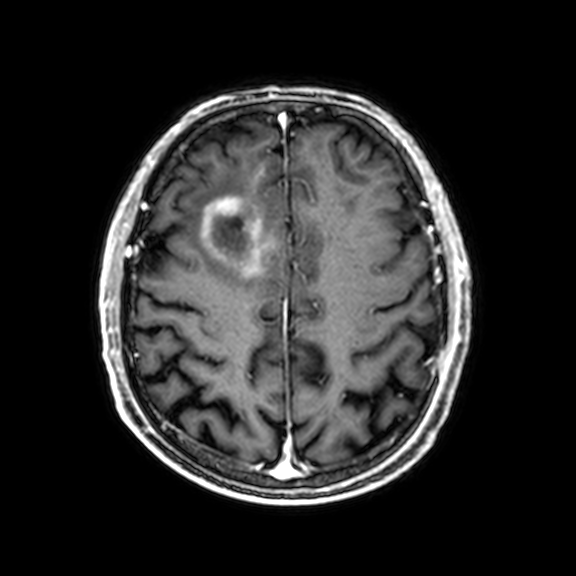
modality: 3 Tesla brain MRI; series: 3D T1-weighted with CLEAR; study: ring-enhancing brain masses.